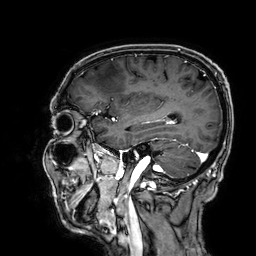
modality: 3 Tesla brain MRI; series: 3D T1-weighted; study: ring-enhancing brain masses.